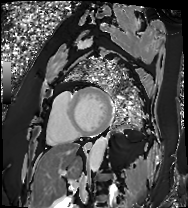
Cardiac MRI. Subject group: patient.